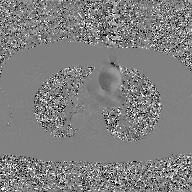
Summary: 2D phase-contrast cine MRI of the ascending aorta, GAN super-resolution reconstruction.